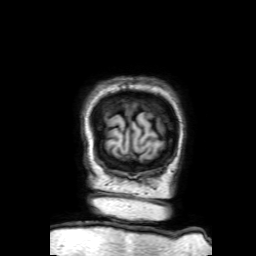
Q: What kind of scan is this?
A: 3 Tesla brain MRI.
Q: Series?
A: 3D T1-weighted with SENSE.
Study: ring-enhancing brain masses.